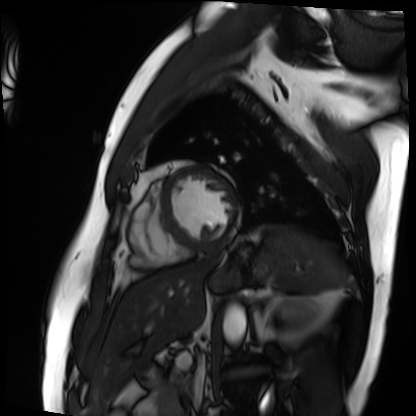
Cardiac MRI.
Subject group: patient.